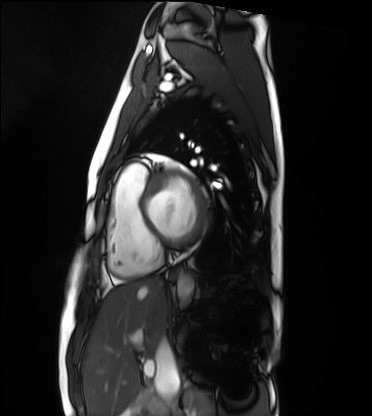
Cardiac MRI.
Subject group: healthy volunteer.